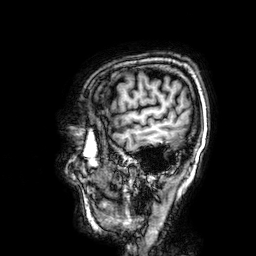
Case summary:
3 Tesla brain MRI. Series: 3D T1-weighted. Study: ring-enhancing brain masses.